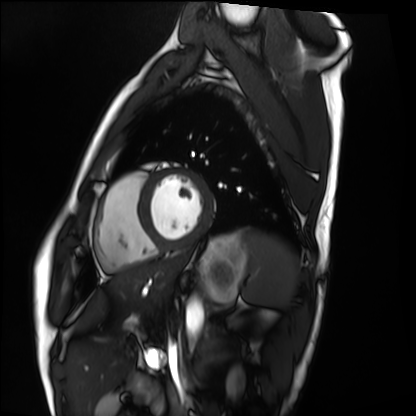
modality = cardiac MRI, subject group = healthy volunteer.